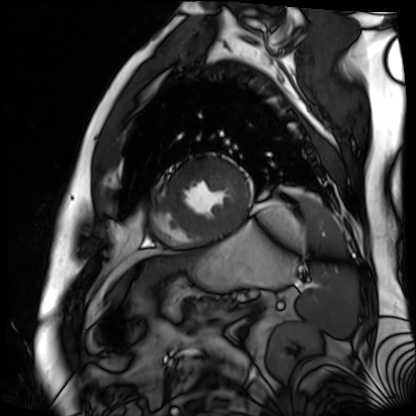
Cardiac MR image of the myocardium. Subject cohort: cardiac patient.